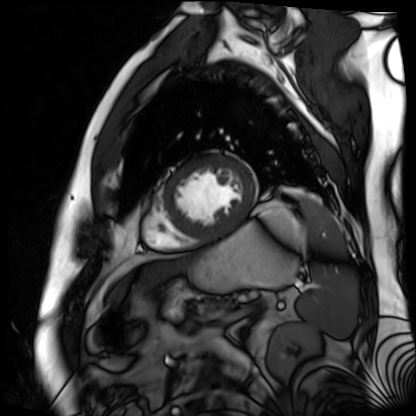
Summary: Cardiac MR image of the myocardium. Subject cohort: cardiac patient.